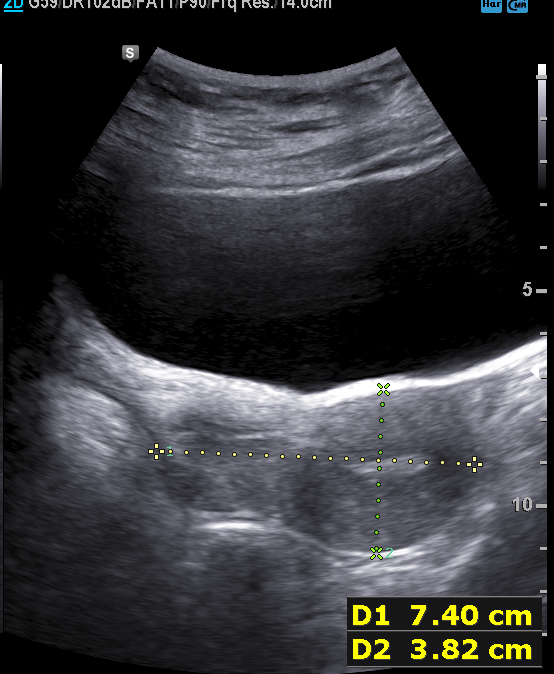
Q: What kind of scan is this?
A: Genitourinary ultrasound.